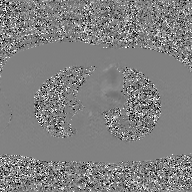
2D phase-contrast cine MRI of the ascending aorta, GAN super-resolution reconstruction.